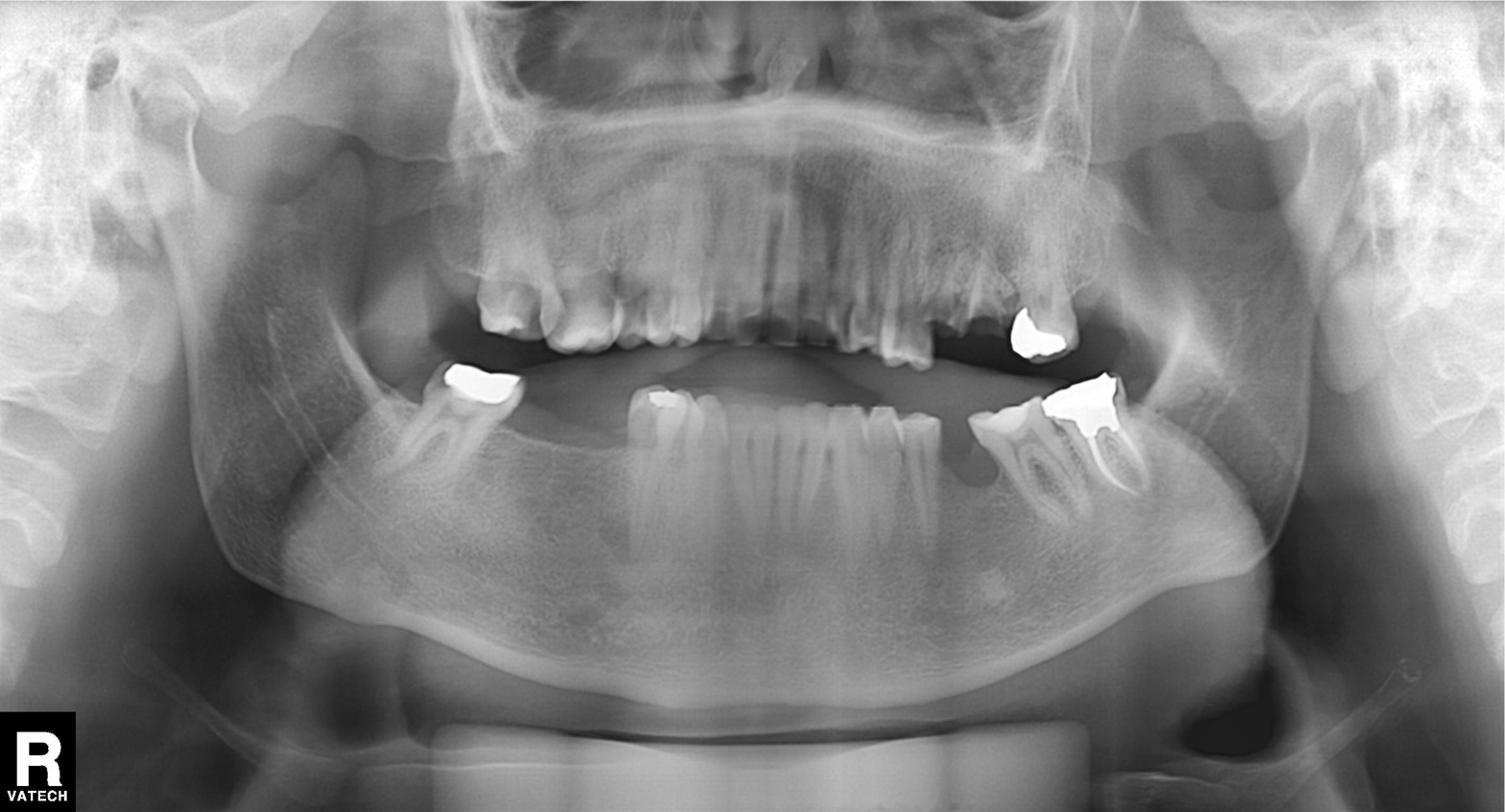
Q: What kind of scan is this?
A: Panoramic dental radiograph (orthopantomogram).
Q: What is the radiographic finding?
A: Dental caries (cavities).